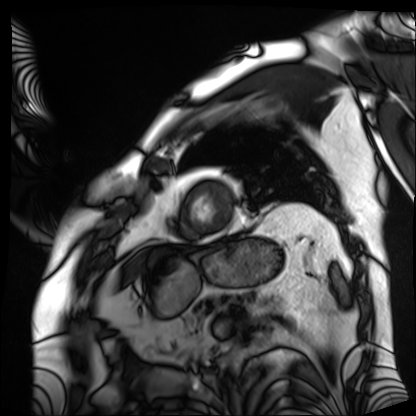
Q: What kind of scan is this?
A: Cardiac MRI.
Subject group: patient.